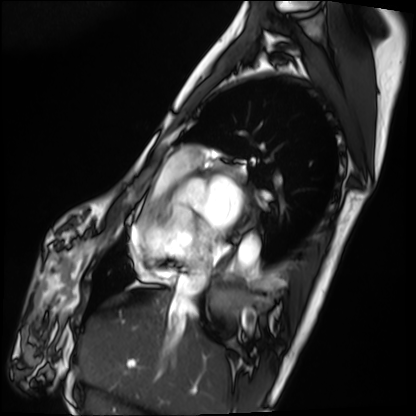
Case summary:
Cardiac MRI. Subject group: patient.